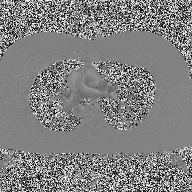
modality: 2D phase-contrast cine MRI of the ascending aorta.